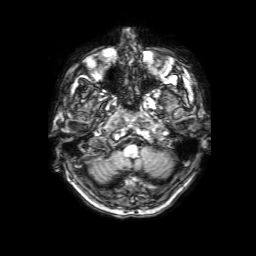
modality — 3 Tesla brain MRI
series — 3D T1-weighted with SENSE
study — ring-enhancing brain masses